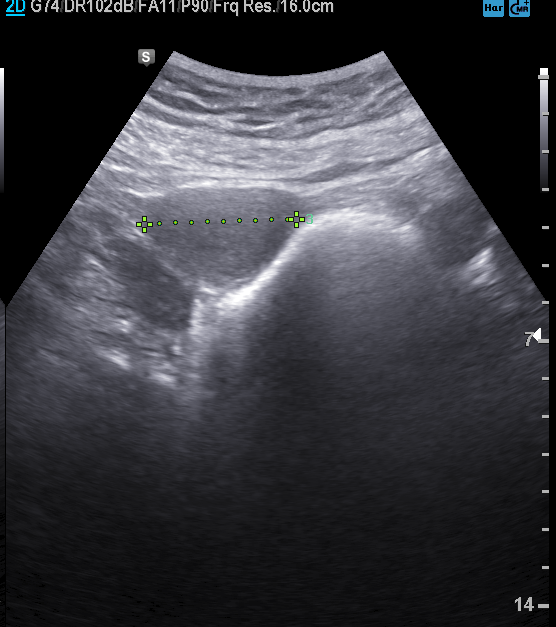
Genitourinary ultrasound.